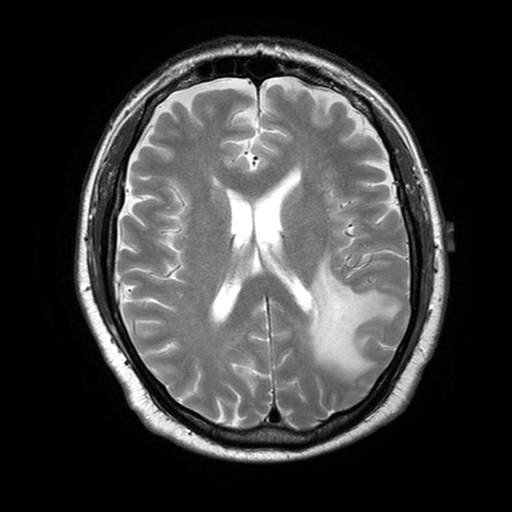
Summary:
3 Tesla brain MRI. Series: T2-weighted turbo spin echo with SENSE. Study: ring-enhancing brain masses.